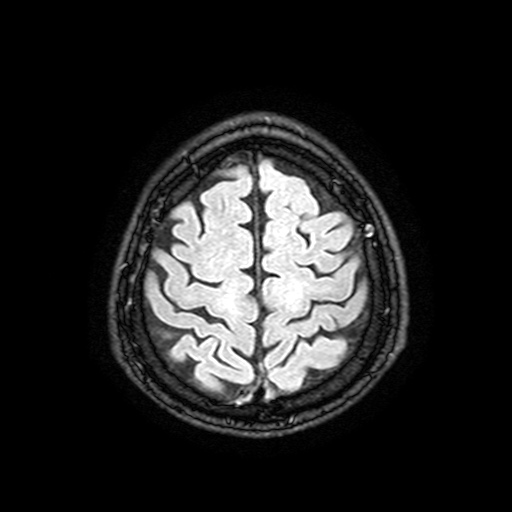
modality=3 Tesla brain MRI; series=FLAIR with SPAIR, 3 mm; study=ring-enhancing brain masses.